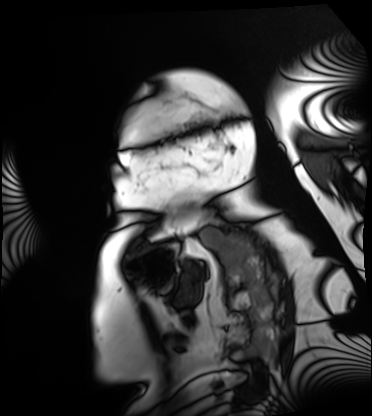
– modality · cardiac MRI
– subject group · patient